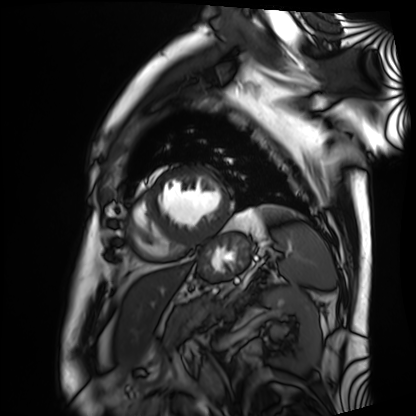
Cardiac MRI. Subject group: patient.